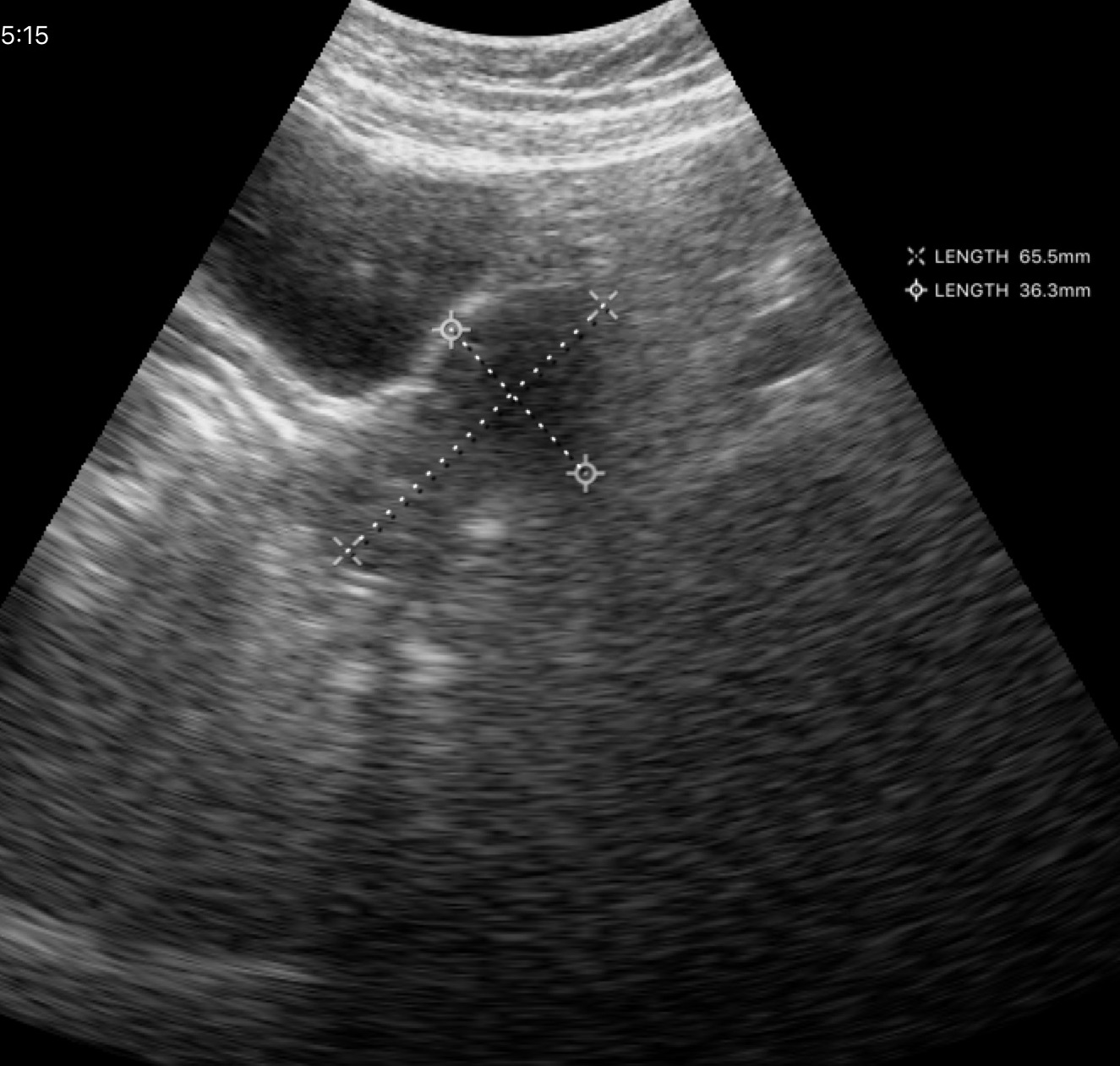
Case:
– modality · genitourinary ultrasound